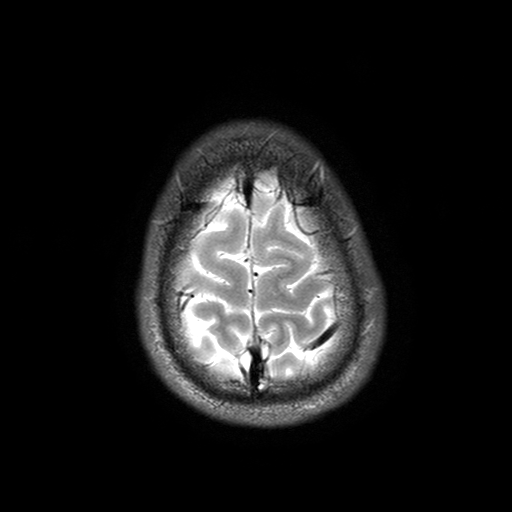
3 Tesla brain MRI. Series: T2-weighted turbo spin echo with SENSE. Study: ring-enhancing brain masses.